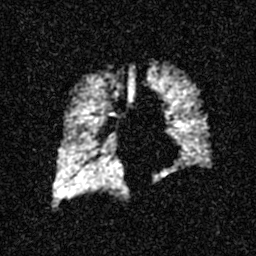
Q: What kind of scan is this?
A: Hyperpolarized 129Xe ventilation MRI of the lungs.
Q: SNR level?
A: 3 of 8 (the deposit holds this scan as its native image and as seven SNR-degraded versions).